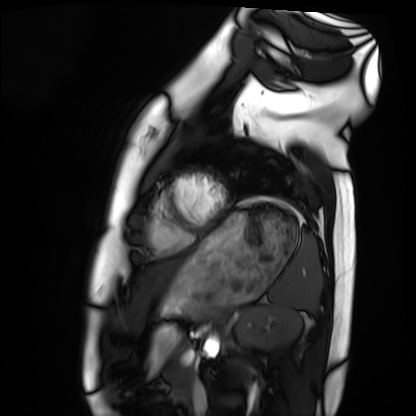
Cardiac MRI.
Subject group: healthy volunteer.